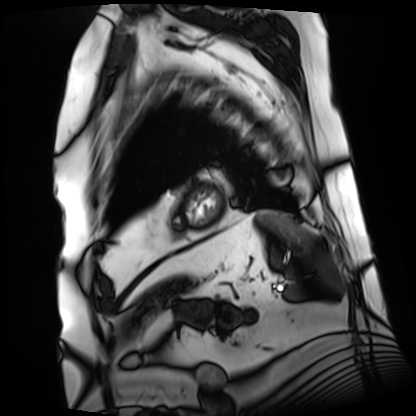
  modality: cardiac MRI
  cohort: patient